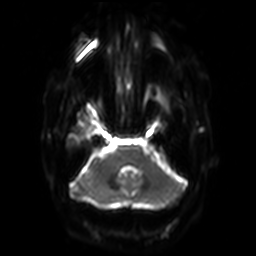
3 Tesla brain MRI. Series: diffusion-weighted imaging with SENSE (WIP). Study: ring-enhancing brain masses.